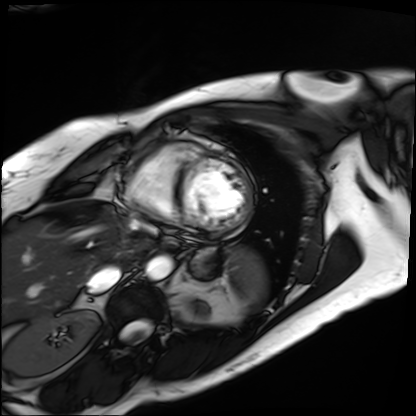
| field | value |
|---|---|
| modality | cardiac MRI |
| subject group | patient |